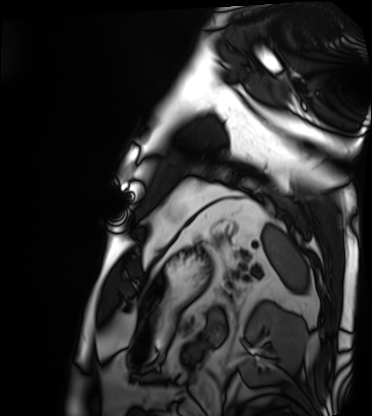
modality=cardiac MRI
subject group=patient